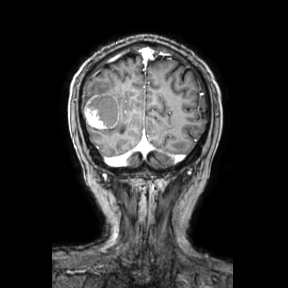
  modality:
    type: brain MRI
    field_strength: 3T
  series: coronal
  study_topic: ring-enhancing brain masses